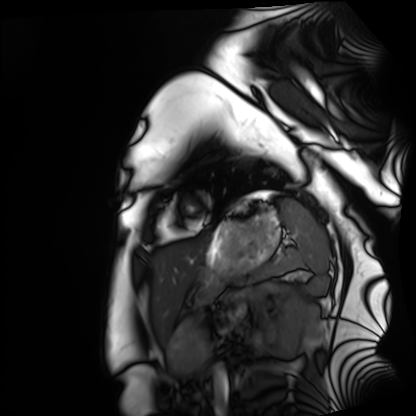
Cardiac MRI. Subject group: healthy volunteer.